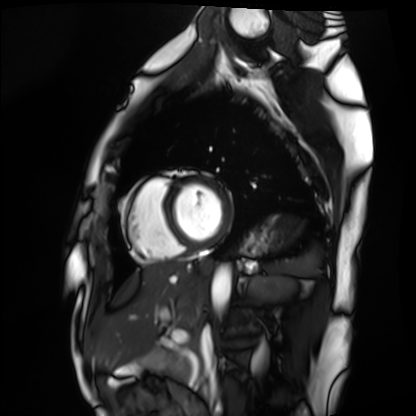
{"modality": "cardiac MRI", "cohort": "healthy volunteer"}